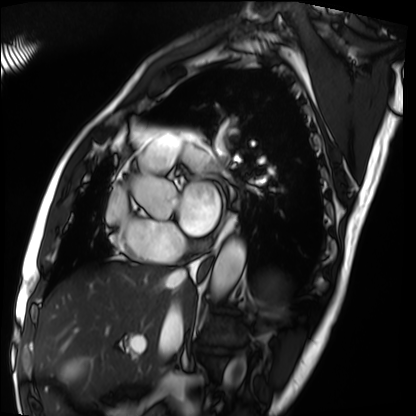
Cardiac MRI. Subject group: patient.